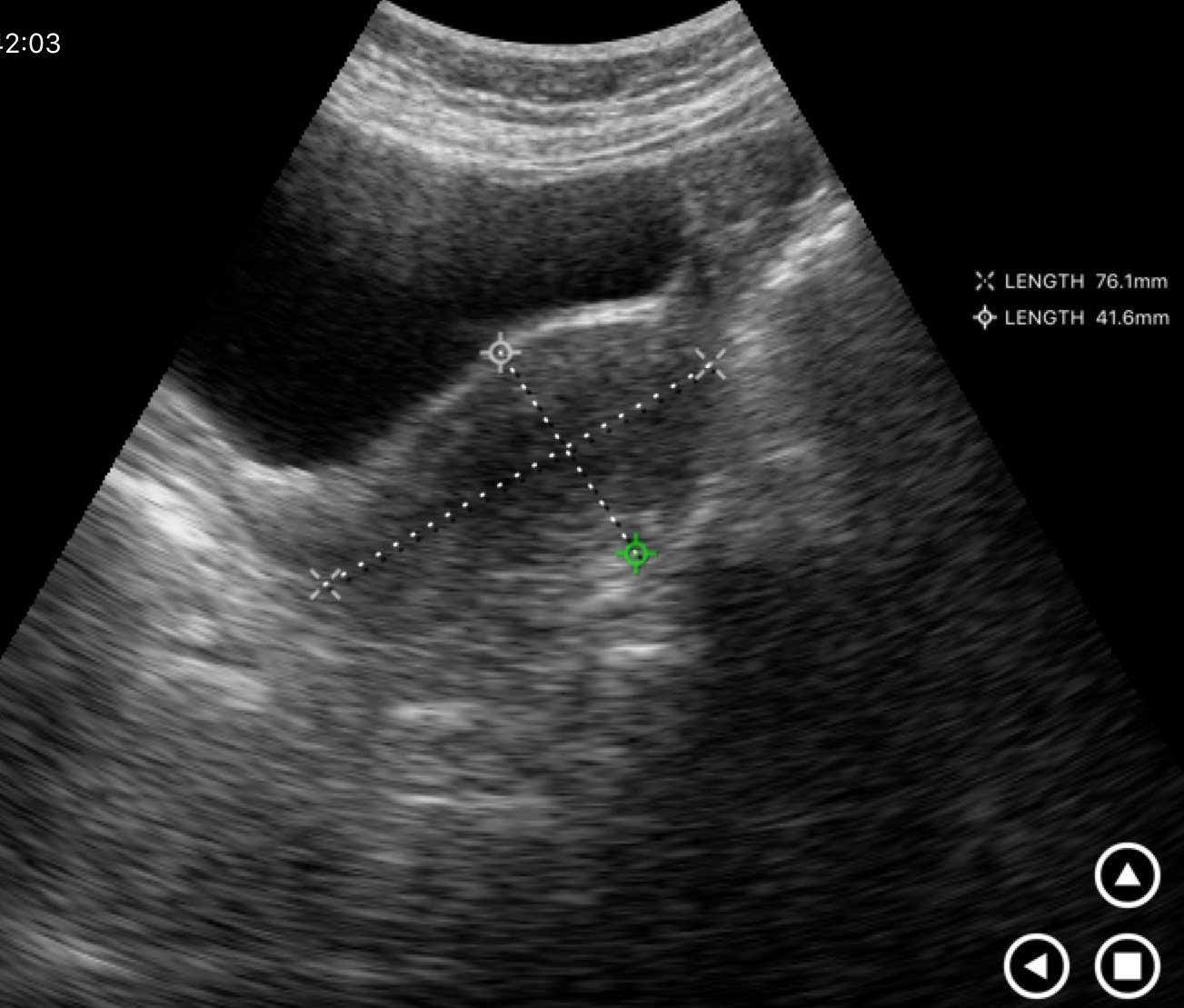
* modality — genitourinary ultrasound